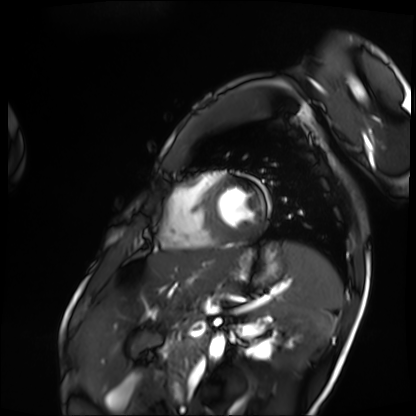
Summary: Cardiac MRI. Subject group: patient.